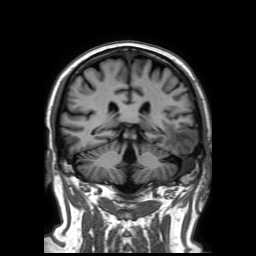
modality: 3 Tesla brain MRI
series: 3D T1-weighted TFE with SENSE
study: ring-enhancing brain masses